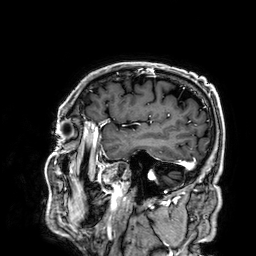
| field | value |
|---|---|
| modality | 3 Tesla brain MRI |
| series | 3D T1-weighted |
| study | ring-enhancing brain masses |